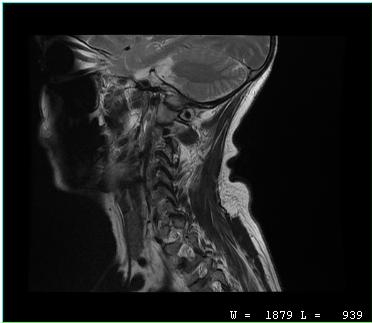
modality = MRI of the cervical spine; study = cervical spondylosis.